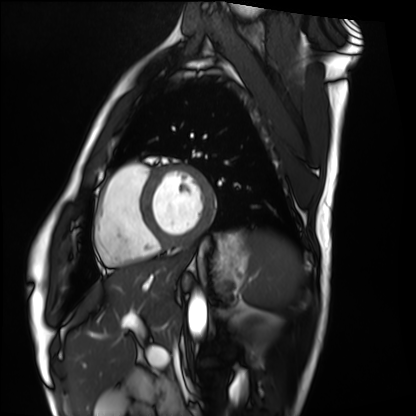
Cardiac MRI. Subject group: healthy volunteer.